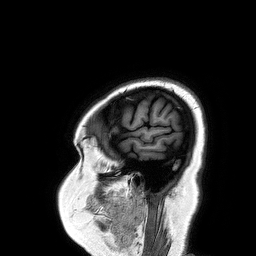
modality: 3 Tesla brain MRI | series: 3D T1-weighted turbo field echo | study: ring-enhancing brain masses.